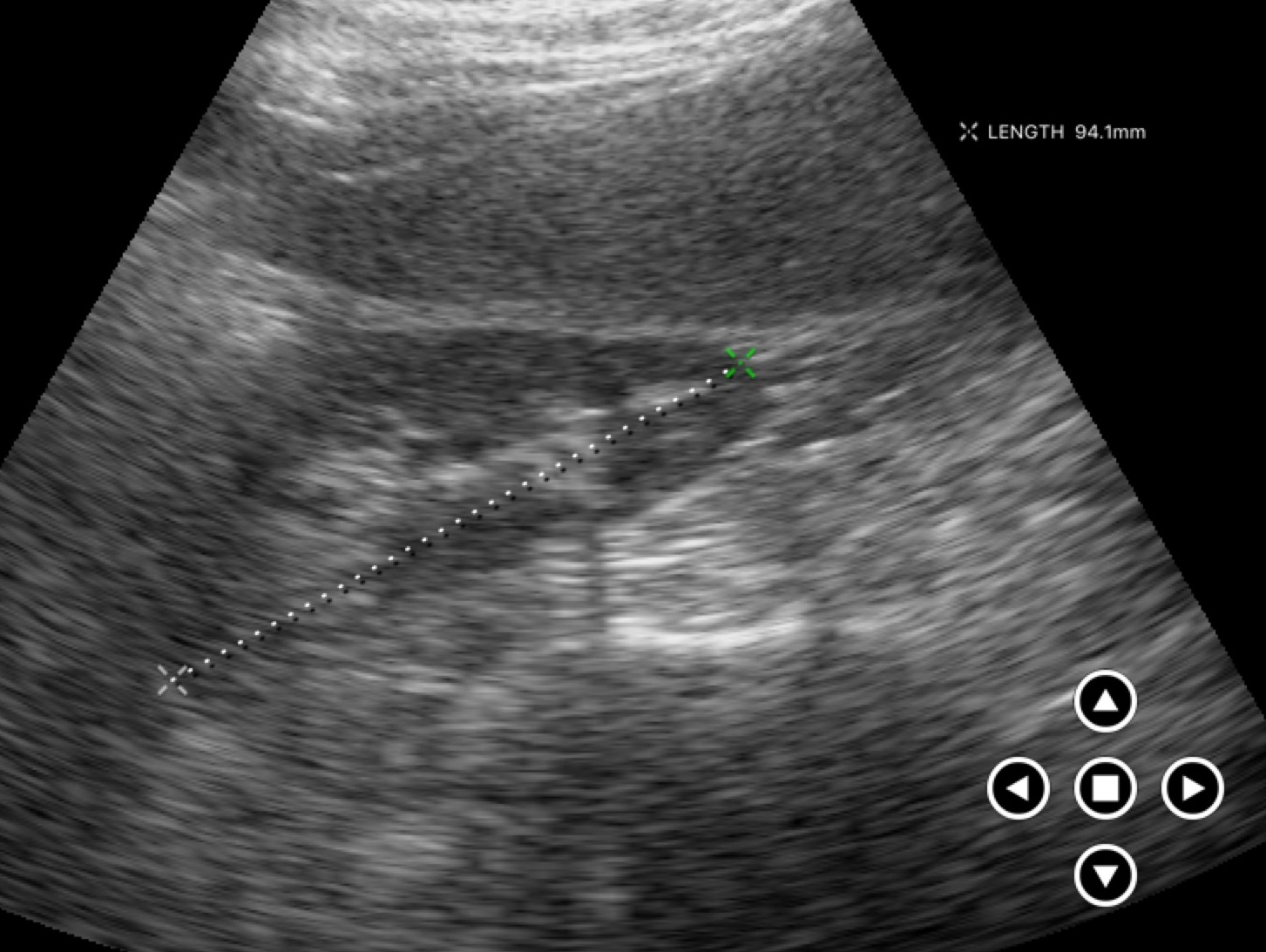
modality: genitourinary ultrasound.